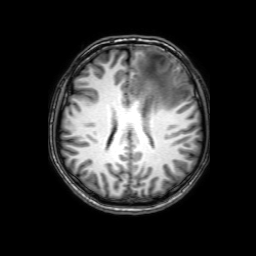
3 Tesla brain MRI.
Series: 3D T1-weighted with SENSE.
Study: ring-enhancing brain masses.